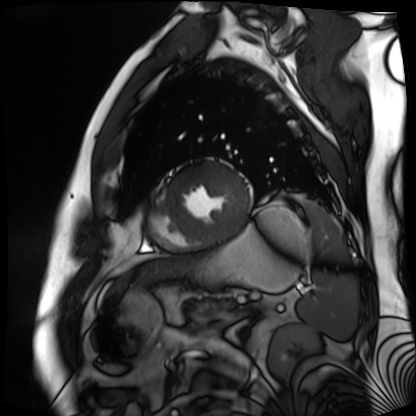
modality: cardiac MR image of the myocardium
subject cohort: cardiac patient